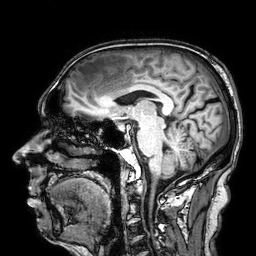
  modality:
    type: brain MRI
    field_strength: 3T
  series: 3D T1-weighted
  study_topic: ring-enhancing brain masses